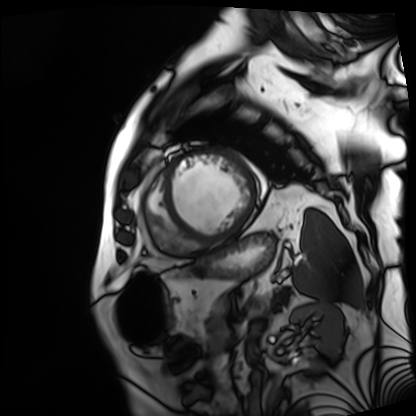
Cardiac MRI.
Subject group: patient.